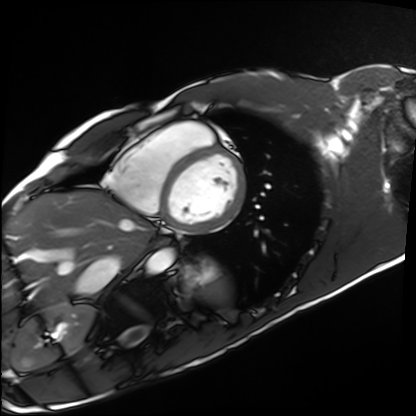
• modality · cardiac MRI
• subject group · healthy volunteer